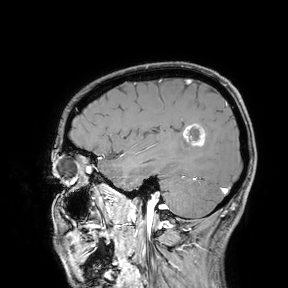
modality:
  type: brain MRI
  field_strength: 3T
study_topic: ring-enhancing brain masses